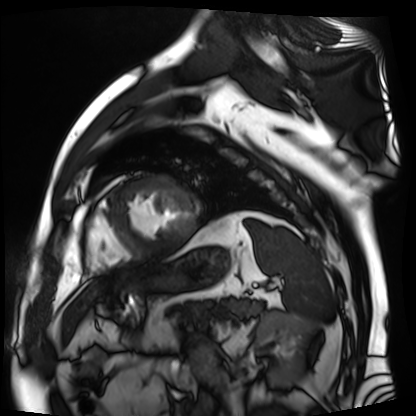
Cardiac MR image of the myocardium. Subject cohort: cardiac patient.